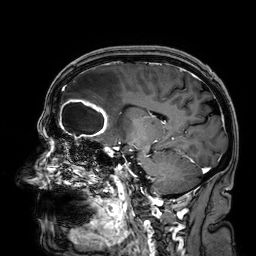
modality:
  type: brain MRI
  field_strength: 3T
series: 3D T1-weighted
study_topic: ring-enhancing brain masses